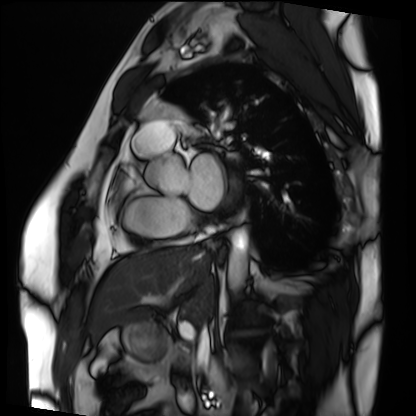
modality: cardiac MRI
subject group: patient